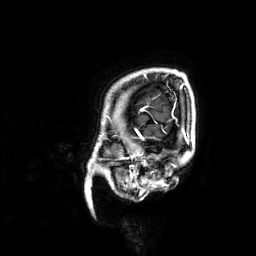
• modality · 3 Tesla brain MRI
• study · ring-enhancing brain masses